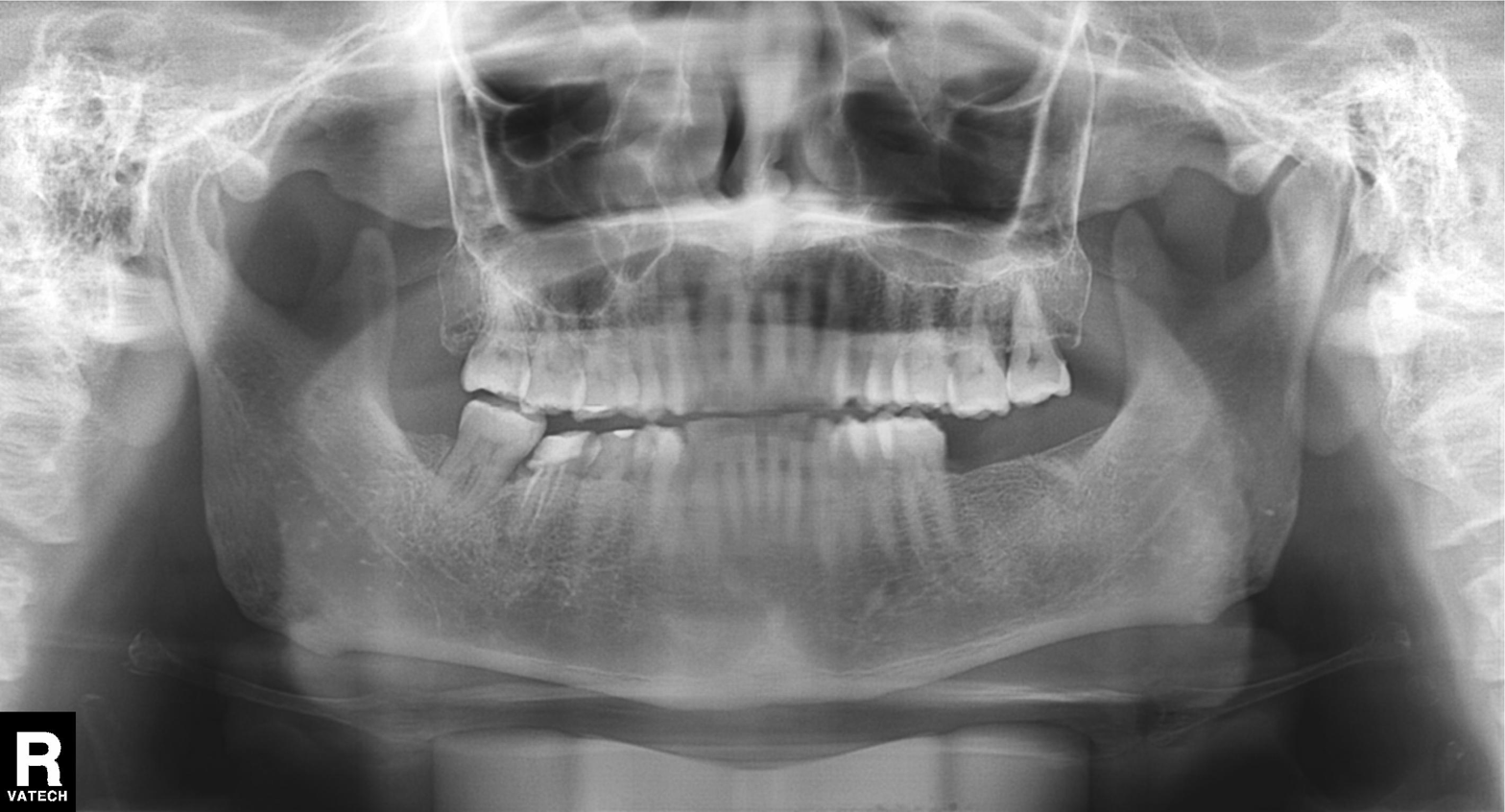
- modality · panoramic dental radiograph (orthopantomogram)
- finding · alveolar bone loss